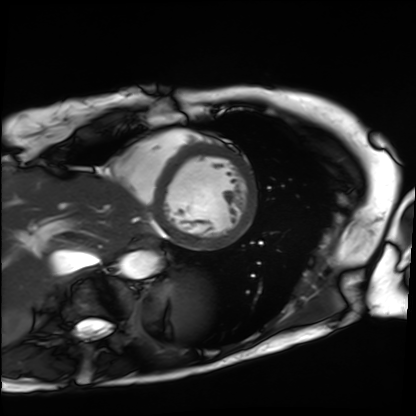
Cardiac MRI. Subject group: patient.